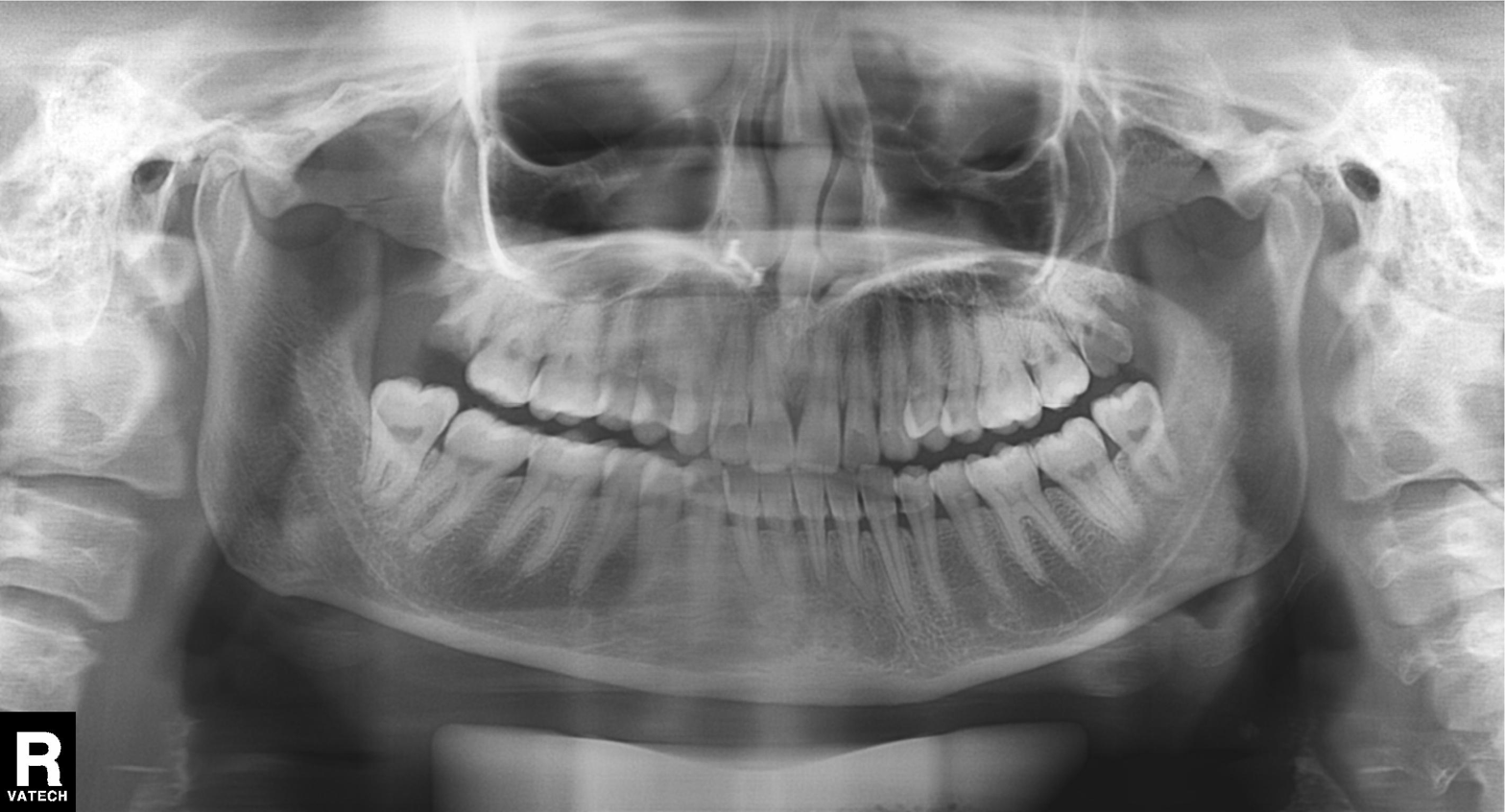
Summary: Panoramic dental radiograph (orthopantomogram).
Impression: Tooth impaction.